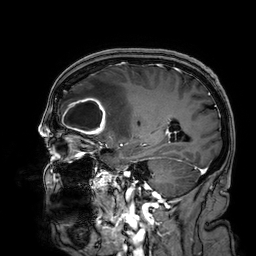
3 Tesla brain MRI. Series: 3D T1-weighted. Study: ring-enhancing brain masses.